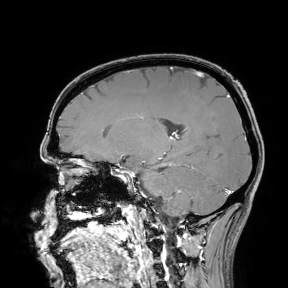
{"modality": {"type": "brain MRI", "field_strength": "3T"}, "study_topic": "ring-enhancing brain masses"}